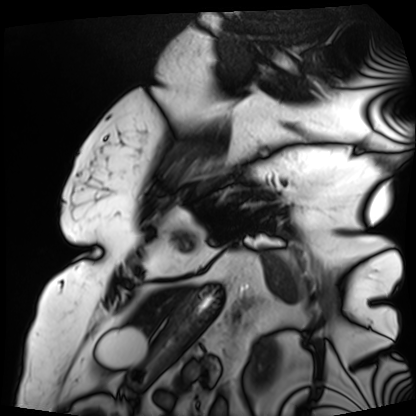
Cardiac MRI. Subject group: patient.